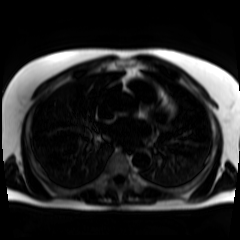
{
  "modality": "chemical-shift-encoded cardiac MRI"
}